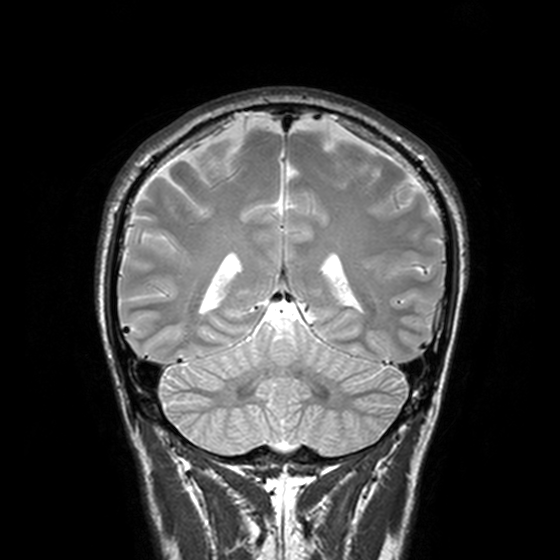
{"modality": {"type": "brain MRI", "field_strength": "3T"}, "series": "T2-weighted turbo spin echo, 3 mm", "study_topic": "ring-enhancing brain masses"}